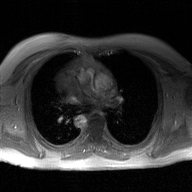
2D phase-contrast cine MRI of the ascending aorta, GAN super-resolution reconstruction.